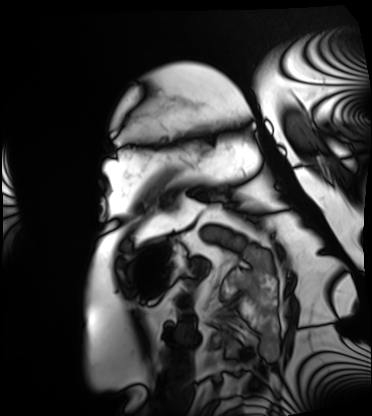
modality — cardiac MRI
subject group — patient